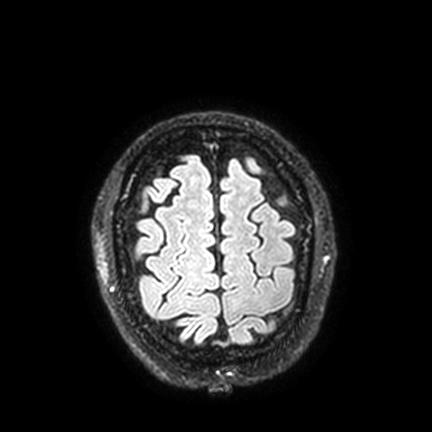
3 Tesla brain MRI.
Series: FLAIR VISTA with SENSE.
Study: ring-enhancing brain masses.